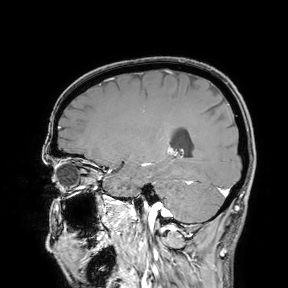
Case summary: 3 Tesla brain MRI. Study: ring-enhancing brain masses.